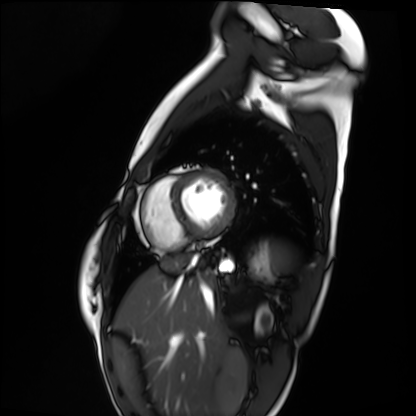
Cardiac MRI.
Subject group: healthy volunteer.